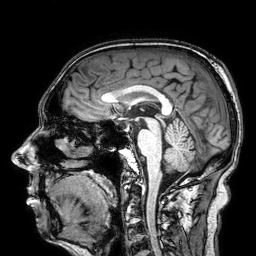
{
  "modality": {
    "type": "brain MRI",
    "field_strength": "3T"
  },
  "series": "3D T1-weighted",
  "study_topic": "ring-enhancing brain masses"
}